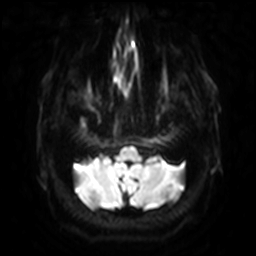
modality: 3 Tesla brain MRI
series: diffusion-weighted imaging with SENSE (WIP)
study: ring-enhancing brain masses